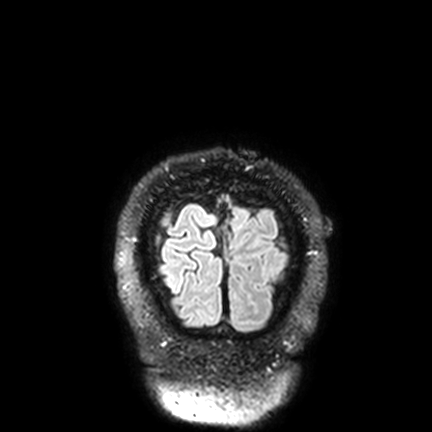
3 Tesla brain MRI. Series: FLAIR VISTA with SENSE. Study: ring-enhancing brain masses.